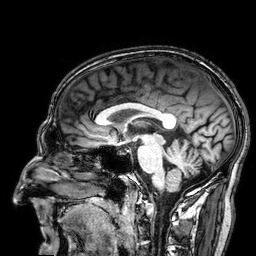
  modality:
    type: brain MRI
    field_strength: 3T
  series: 3D T1-weighted
  study_topic: ring-enhancing brain masses